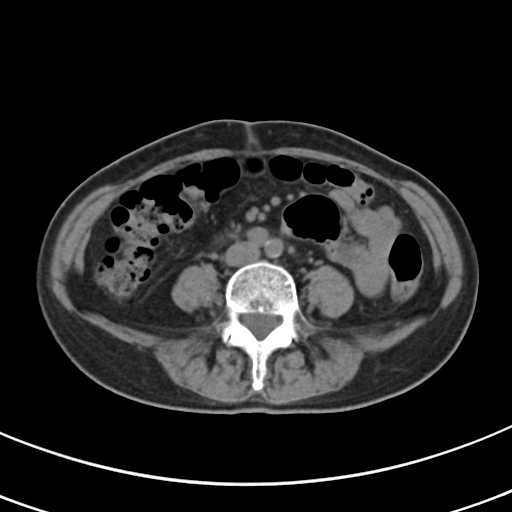
– modality: multiphase abdominal CT, liver, non-contrast phase
– patient: female, age 68
– history: prior chemotherapy